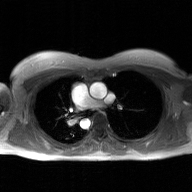
Summary:
2D phase-contrast cine MRI of the ascending aorta, GAN super-resolution reconstruction.